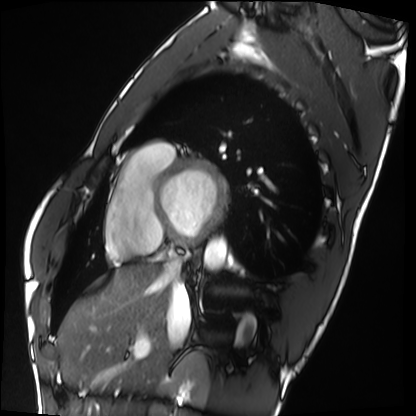
{"modality": "cardiac MRI", "cohort": "healthy volunteer"}